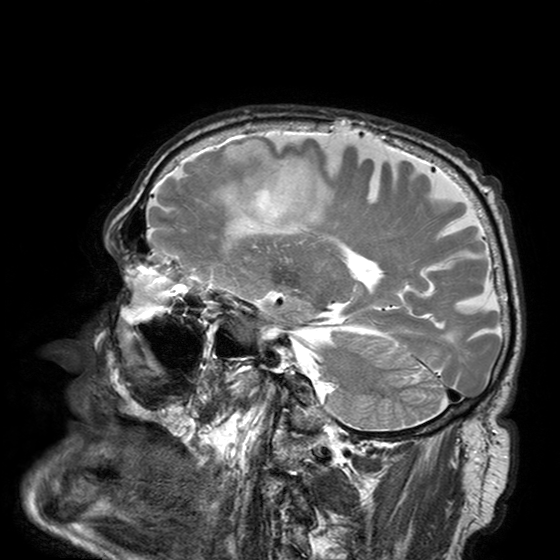
Clinical context:
3 Tesla brain MRI. Series: T2-weighted turbo spin echo with SENSE. Study: ring-enhancing brain masses.